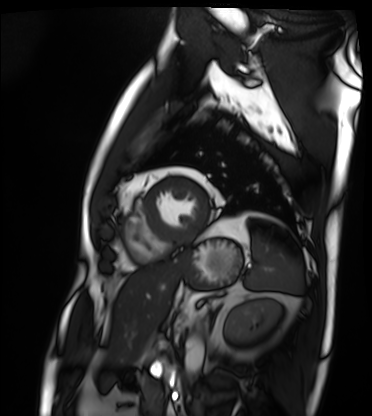
  modality: cardiac MRI
  cohort: patient